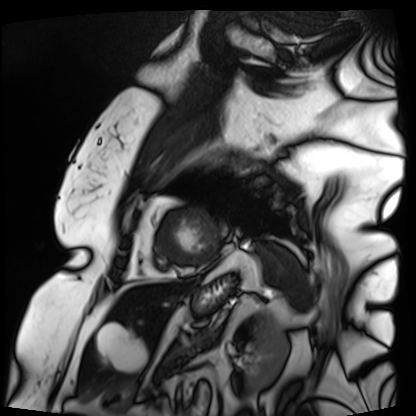
Clinical context:
Cardiac MRI. Subject group: patient.